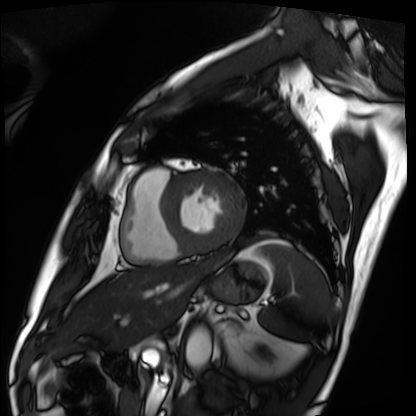
Summary:
Cardiac MRI. Subject group: patient.